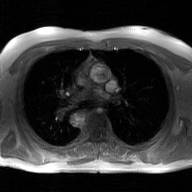
- modality · 2D phase-contrast cine MRI of the ascending aorta, GAN super-resolution reconstruction